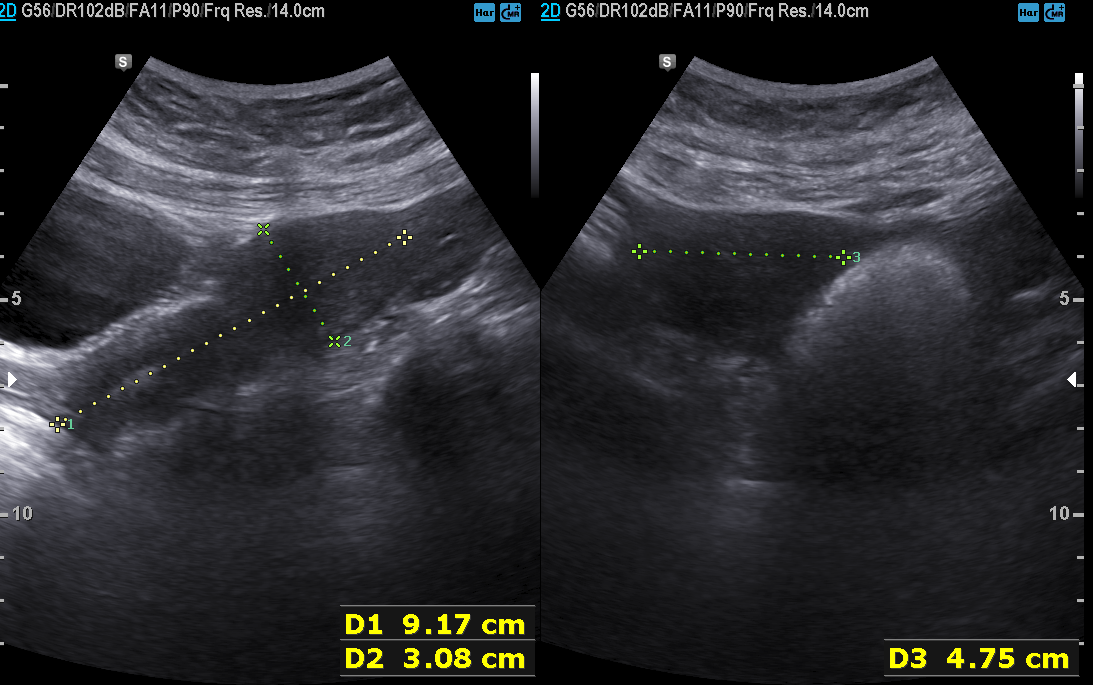
Genitourinary ultrasound.